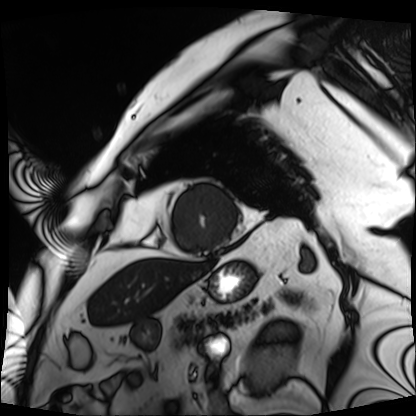
Cardiac MRI. Subject group: patient.